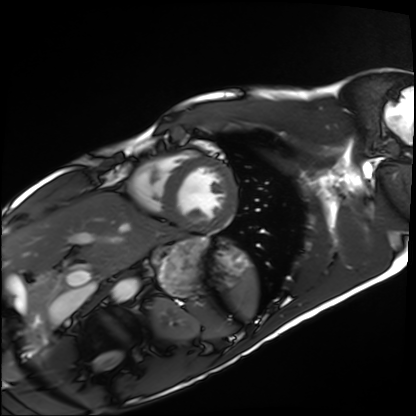
modality = cardiac MRI; subject group = healthy volunteer.